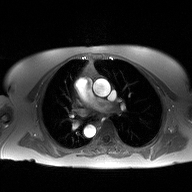
Clinical context: 2D phase-contrast cine MRI of the ascending aorta, high-resolution GRAPPA acquisition.